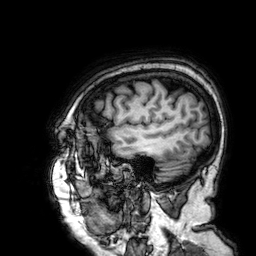
3 Tesla brain MRI. Series: 3D T1-weighted. Study: ring-enhancing brain masses.